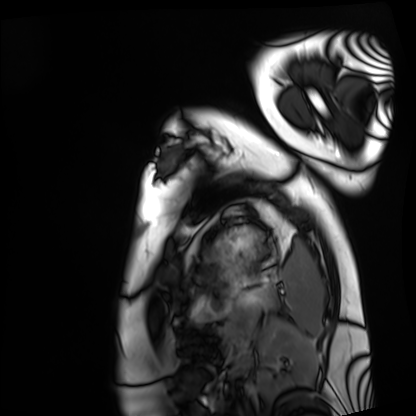
{
  "modality": "cardiac MRI",
  "cohort": "healthy volunteer"
}